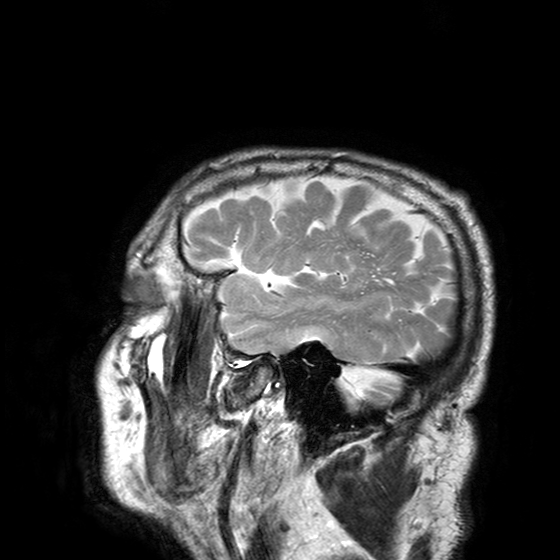
modality: 3 Tesla brain MRI
series: T2-weighted turbo spin echo with SENSE
study: ring-enhancing brain masses